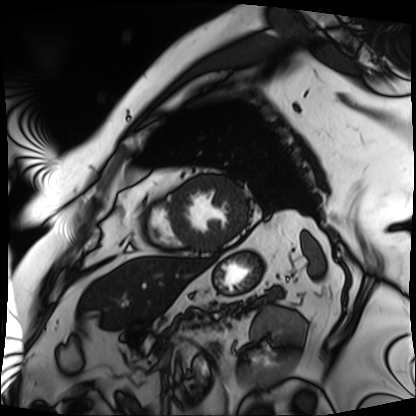
Q: What kind of scan is this?
A: Cardiac MRI.
Subject group: patient.